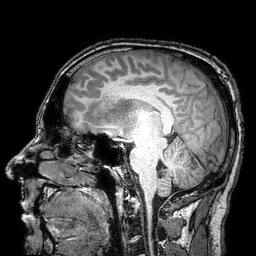
3 Tesla brain MRI. Series: 3D T1-weighted turbo field echo with SENSE. Study: ring-enhancing brain masses.